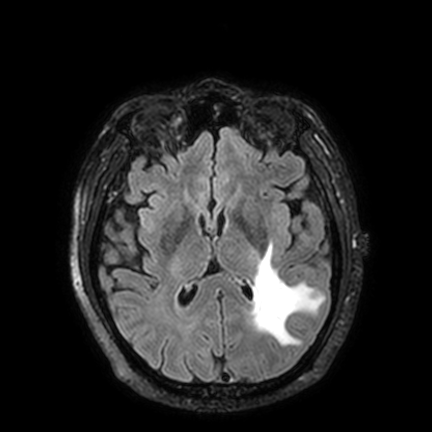
Q: What kind of scan is this?
A: 3 Tesla brain MRI.
Q: Series?
A: FLAIR VISTA with SENSE.
Study: ring-enhancing brain masses.